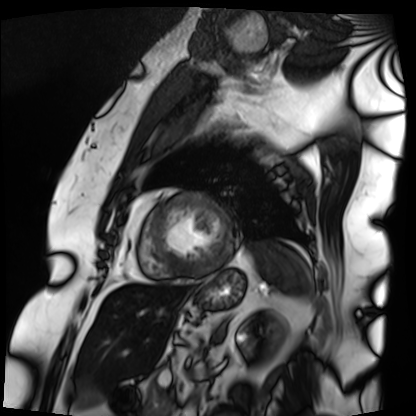
{
  "modality": "cardiac MRI",
  "cohort": "patient"
}